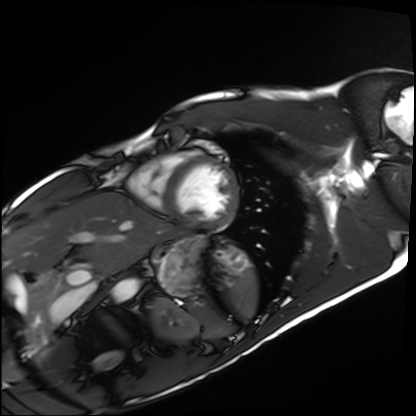
modality — cardiac MRI | subject group — healthy volunteer.